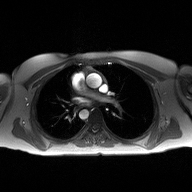
modality — 2D phase-contrast cine MRI of the ascending aorta.